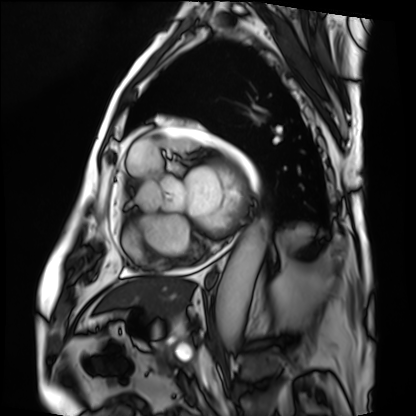
Summary:
Cardiac MRI. Subject group: patient.